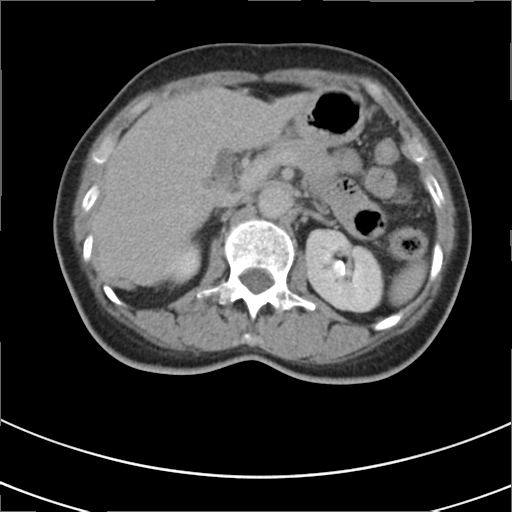
Multiphase abdominal CT, liver, delayed phase. Patient: female, age 53. History: prior chemotherapy.